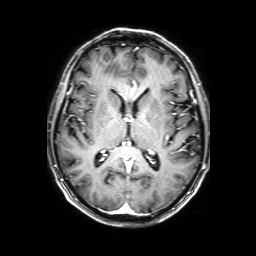
<study>
<modality>
  <type>brain MRI</type>
  <field_strength>3T</field_strength>
</modality>
<series>3D T1-weighted with SENSE</series>
<study_topic>ring-enhancing brain masses</study_topic>
</study>